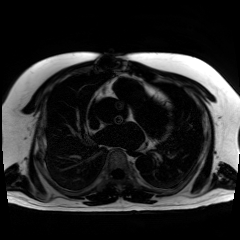
Summary: Chemical-shift-encoded cardiac MRI.